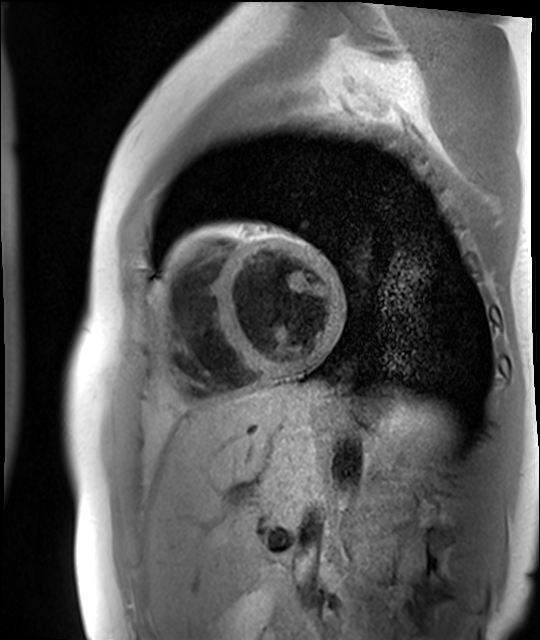
modality=cardiac MR image of the myocardium
subject cohort=healthy volunteer